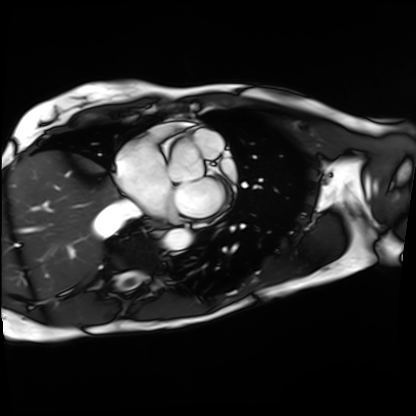
modality — cardiac MRI
subject group — patient